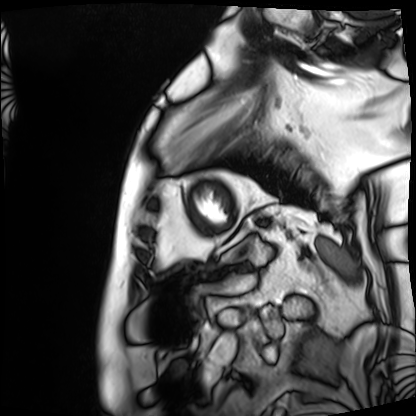
Cardiac MRI. Subject group: patient.